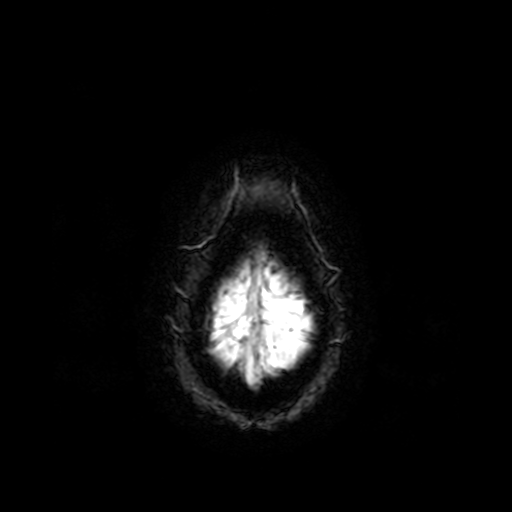
<scan>
  <modality>
    <type>brain MRI</type>
    <field_strength>3T</field_strength>
  </modality>
  <series>T2-weighted fast field echo</series>
  <study_topic>ring-enhancing brain masses</study_topic>
</scan>